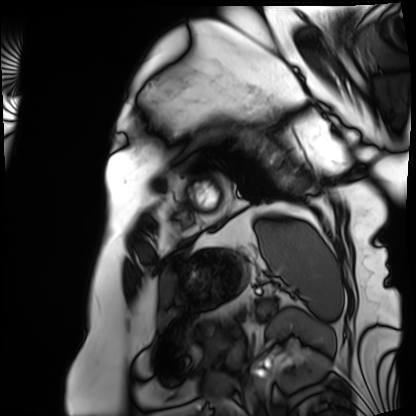
Case summary: Cardiac MRI. Subject group: patient.